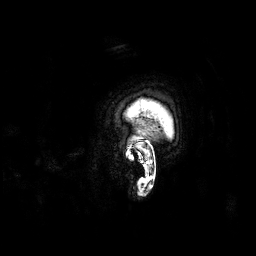
3 Tesla brain MRI. Series: 3D T1-weighted. Study: ring-enhancing brain masses.